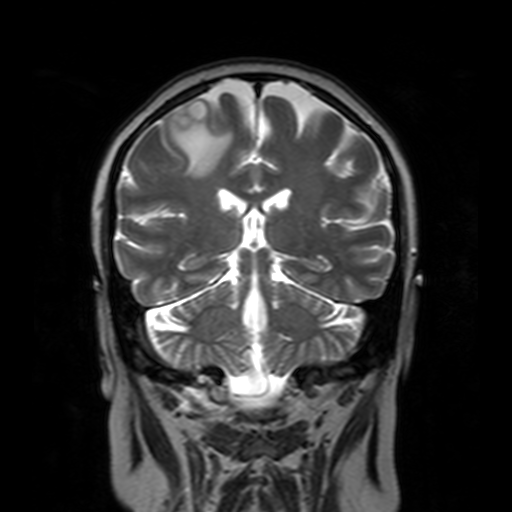
modality: 3 Tesla brain MRI | series: T2-weighted turbo spin echo with SENSE | study: ring-enhancing brain masses.